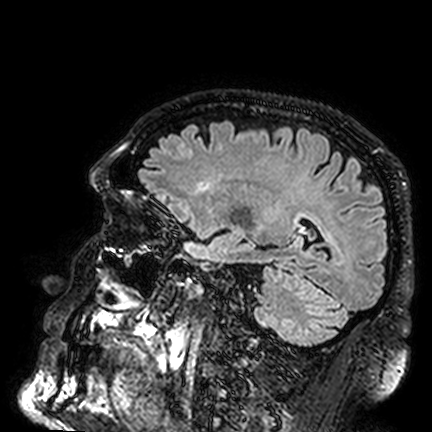
  modality:
    type: brain MRI
    field_strength: 3T
  series: FLAIR VISTA
  study_topic: ring-enhancing brain masses